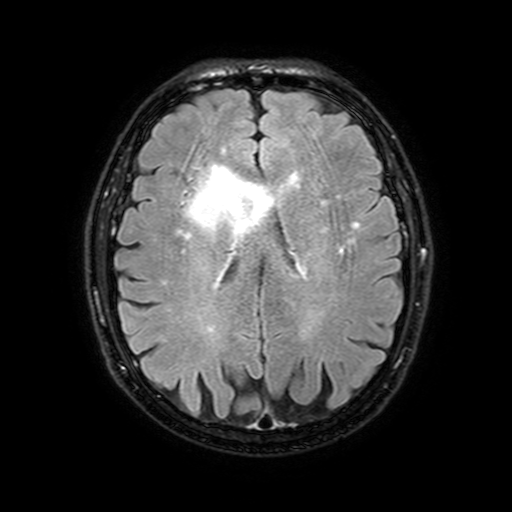
Case:
– modality · 3 Tesla brain MRI
– series · FLAIR with SPAIR, 3 mm
– study · ring-enhancing brain masses